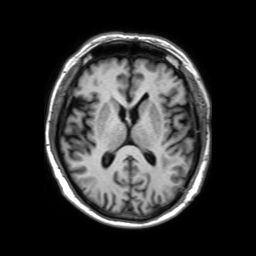
{
  "modality": {
    "type": "brain MRI",
    "field_strength": "3T"
  },
  "series": "3D T1-weighted TFE with SENSE",
  "study_topic": "ring-enhancing brain masses"
}